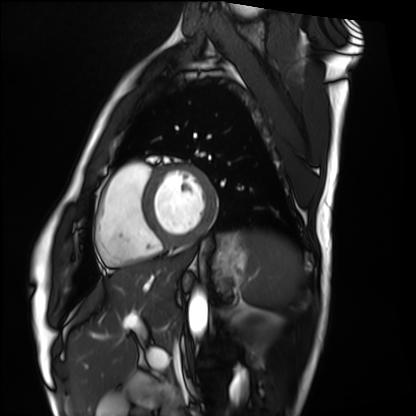
modality: cardiac MRI; subject group: healthy volunteer.